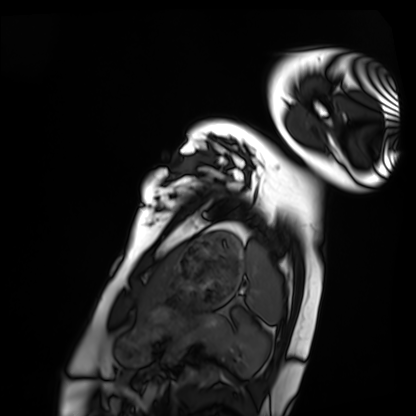
modality = cardiac MRI; subject group = healthy volunteer.